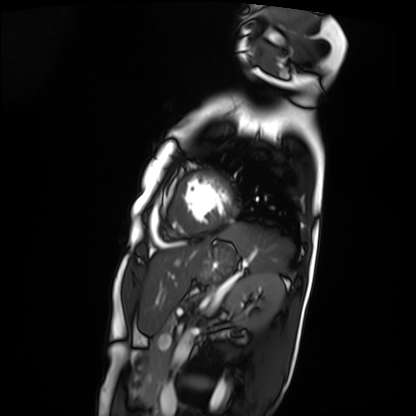
  modality: cardiac MRI
  cohort: patient